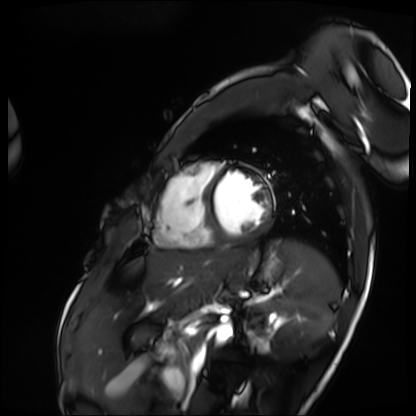
Cardiac MRI. Subject group: patient.